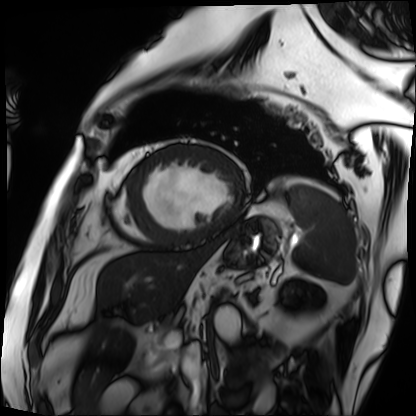
{"modality": "cardiac MRI", "cohort": "patient"}